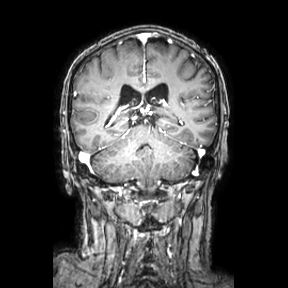
Clinical context: 3 Tesla brain MRI. Series: coronal. Study: ring-enhancing brain masses.